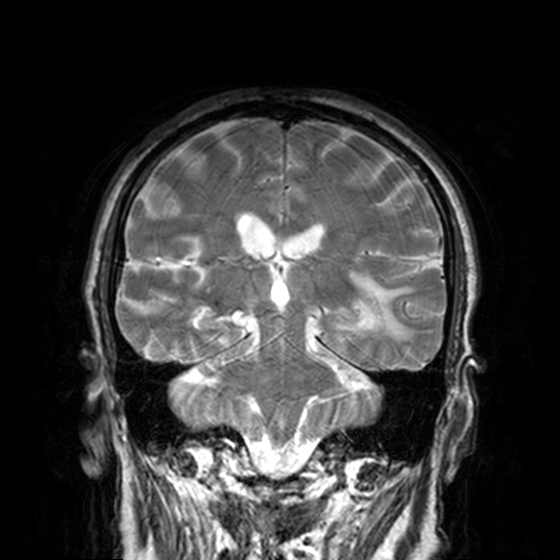
Clinical context:
3 Tesla brain MRI. Series: T2-weighted turbo spin echo, 3 mm. Study: ring-enhancing brain masses.